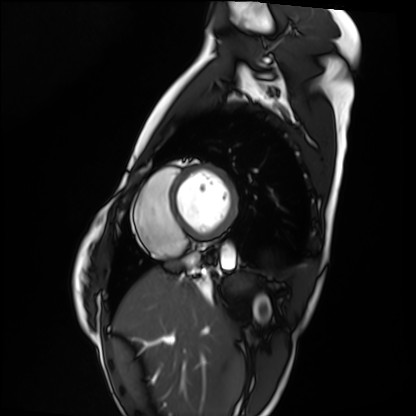
Cardiac MRI.
Subject group: healthy volunteer.